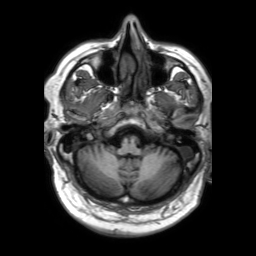
Summary: 3 Tesla brain MRI. Series: 3D T1-weighted TFE with SENSE. Study: ring-enhancing brain masses.